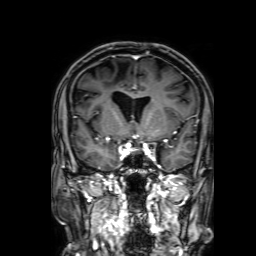
Clinical context:
3 Tesla brain MRI. Series: 3D T1-weighted with SENSE. Study: ring-enhancing brain masses.